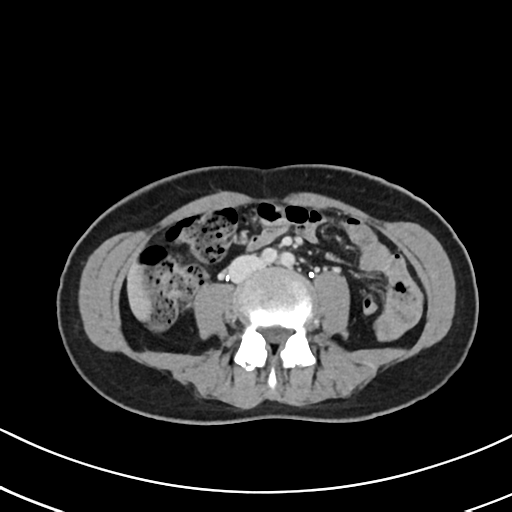
| field | value |
|---|---|
| modality | multiphase abdominal CT, liver, delayed phase |